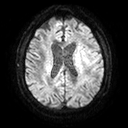
Summary: 3 Tesla brain MRI. Series: diffusion tensor imaging (medium iso). Study: ring-enhancing brain masses.